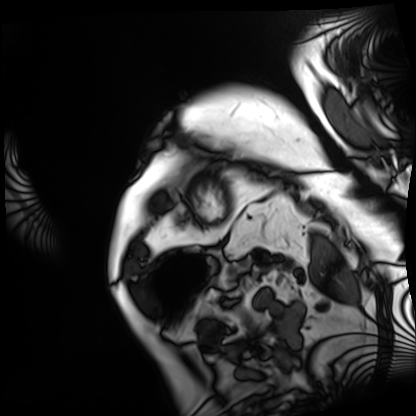
Q: What kind of scan is this?
A: Cardiac MRI.
Subject group: patient.